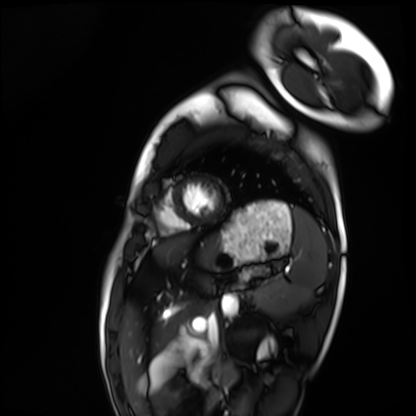
{"modality": "cardiac MRI", "cohort": "healthy volunteer"}